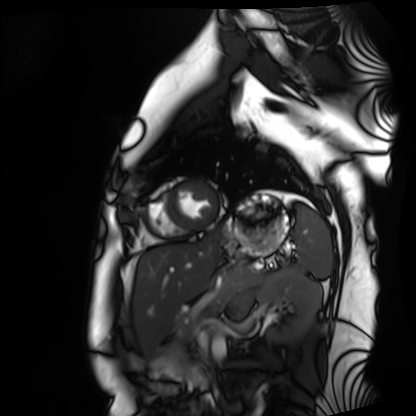
modality: cardiac MRI, subject group: healthy volunteer.